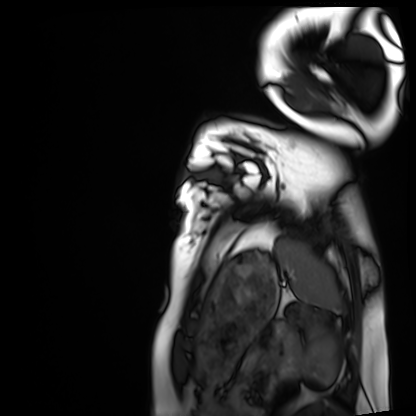
Q: What kind of scan is this?
A: Cardiac MRI.
Subject group: healthy volunteer.